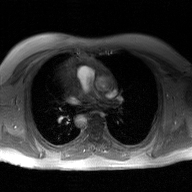
modality=2D phase-contrast cine MRI of the ascending aorta, GAN super-resolution reconstruction